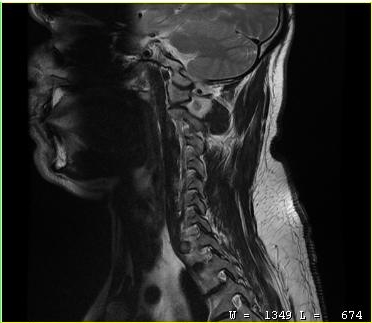
modality — MRI of the cervical spine
study — cervical spondylosis